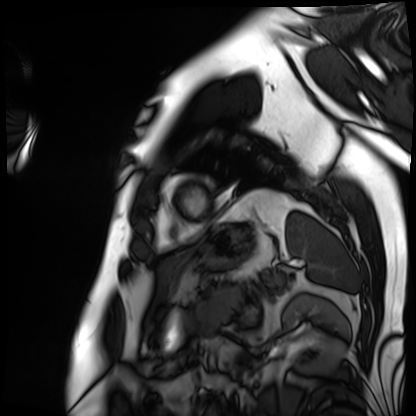
Case:
* modality: cardiac MRI
* subject group: patient